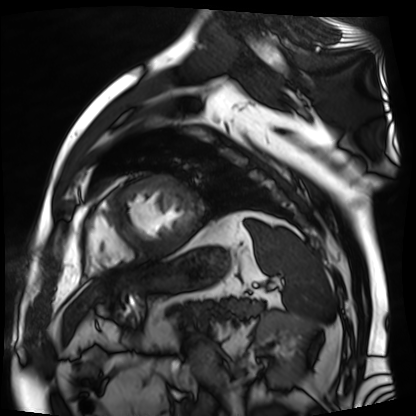
<scan>
<modality>cardiac MR image of the myocardium</modality>
<cohort>cardiac patient</cohort>
</scan>